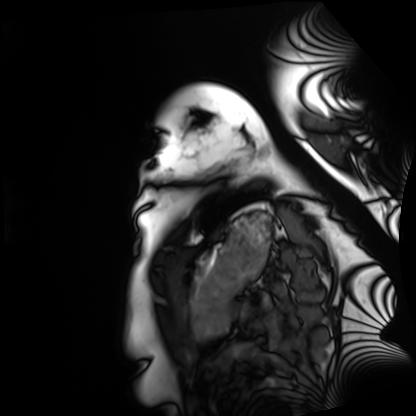
modality: cardiac MRI | subject group: healthy volunteer.